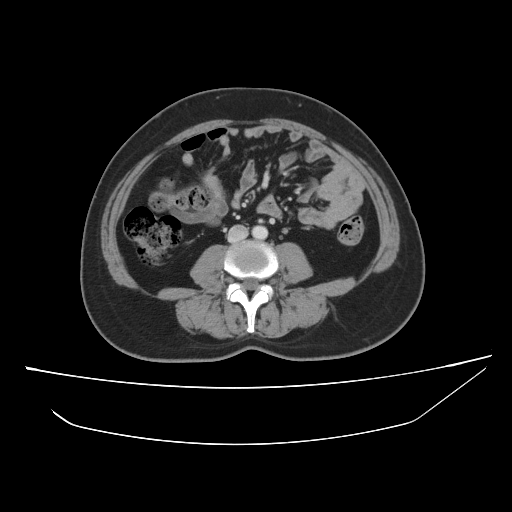
Case summary: Multiphase abdominal CT, liver, portal venous phase. Patient: female, age 56. History: prior chemotherapy.